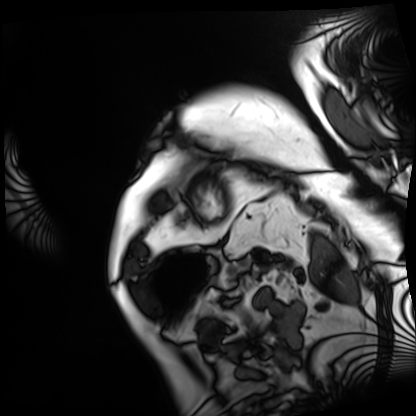
modality = cardiac MRI | subject group = patient.